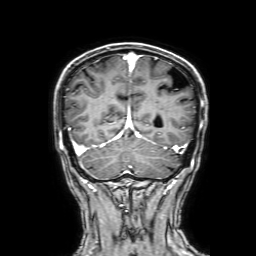
modality: 3 Tesla brain MRI | series: 3D T1-weighted with SENSE | study: ring-enhancing brain masses.